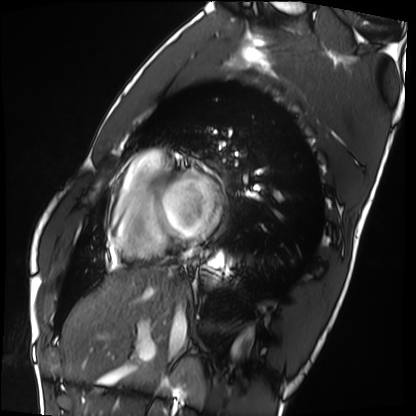
Q: What kind of scan is this?
A: Cardiac MRI.
Subject group: healthy volunteer.